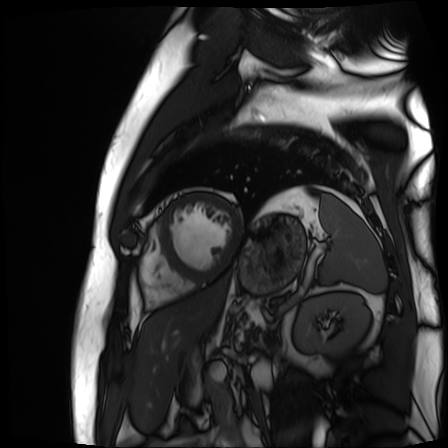
modality = cardiac MR image of the myocardium; subject cohort = cardiac patient.